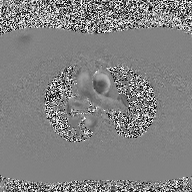
Clinical context: 2D phase-contrast cine MRI of the ascending aorta, high-resolution GRAPPA acquisition.